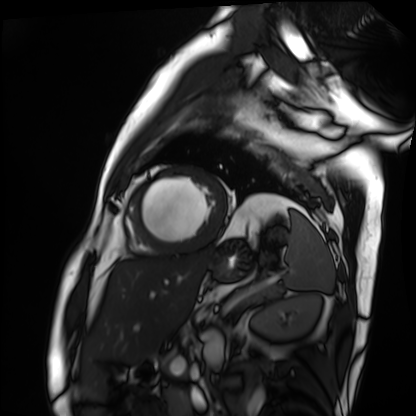
Clinical context:
Cardiac MRI. Subject group: patient.